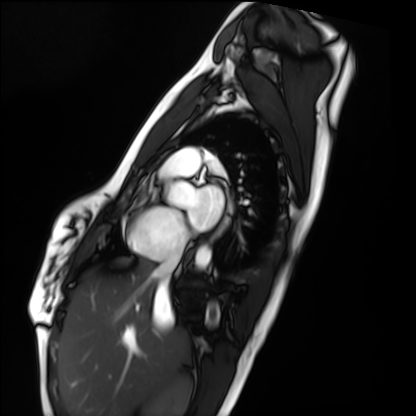
modality: cardiac MRI, subject group: healthy volunteer.